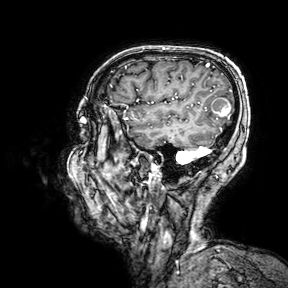
3 Tesla brain MRI. Series: 3D T1-weighted turbo field echo with SENSE. Study: ring-enhancing brain masses.